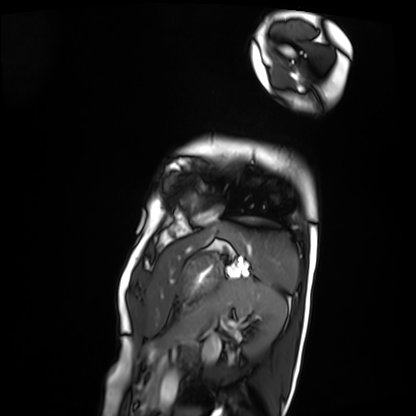
Q: What kind of scan is this?
A: Cardiac MRI.
Subject group: patient.